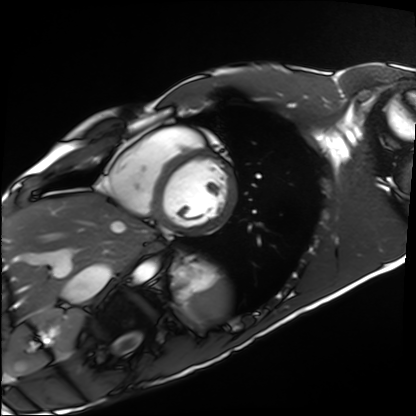
• modality — cardiac MRI
• subject group — healthy volunteer